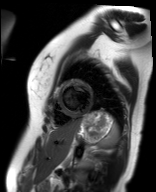
modality: cardiac MR image of the myocardium
cohort: healthy volunteer